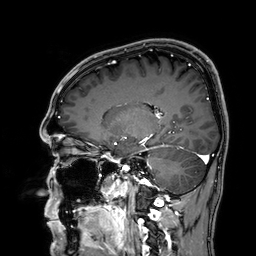
Q: What kind of scan is this?
A: 3 Tesla brain MRI.
Q: Series?
A: 3D T1-weighted.
Study: ring-enhancing brain masses.